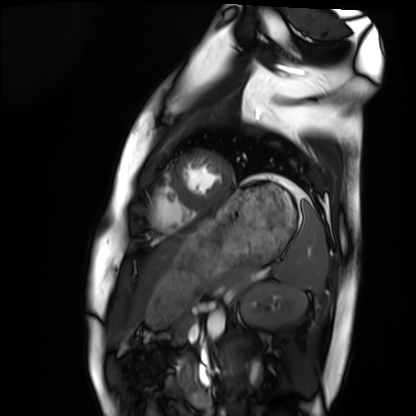
Cardiac MRI. Subject group: healthy volunteer.